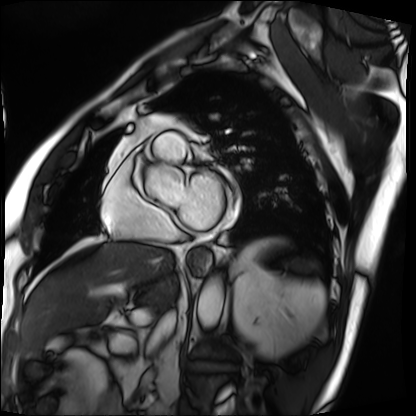
Cardiac MRI. Subject group: patient.